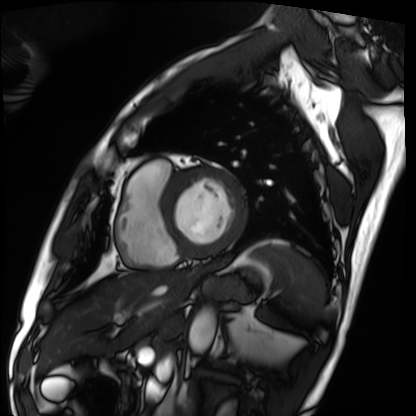
Cardiac MRI. Subject group: patient.